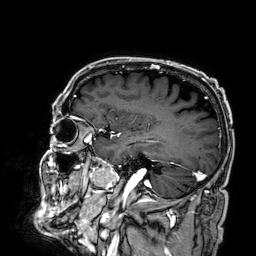
modality: 3 Tesla brain MRI | series: 3D T1-weighted | study: ring-enhancing brain masses.